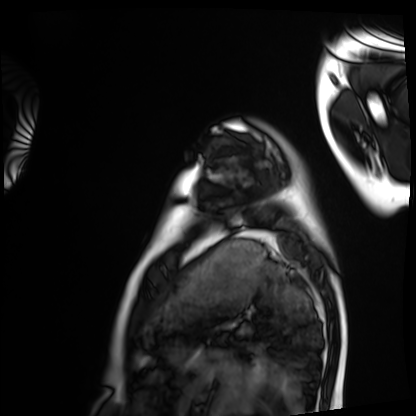
Q: What kind of scan is this?
A: Cardiac MRI.
Subject group: healthy volunteer.